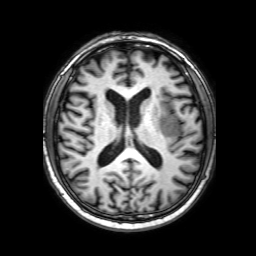
Summary: 3 Tesla brain MRI. Series: 3D T1-weighted with SENSE. Study: ring-enhancing brain masses.